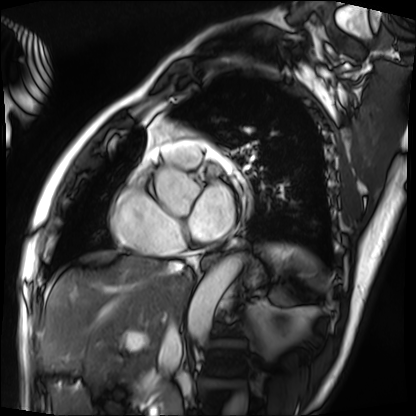
Case:
• modality — cardiac MRI
• subject group — patient